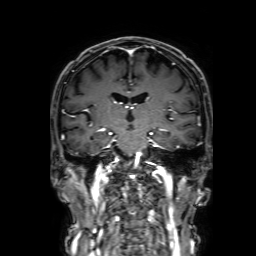
{
  "modality": {
    "type": "brain MRI",
    "field_strength": "3T"
  },
  "series": "3D T1-weighted with SENSE",
  "study_topic": "ring-enhancing brain masses"
}